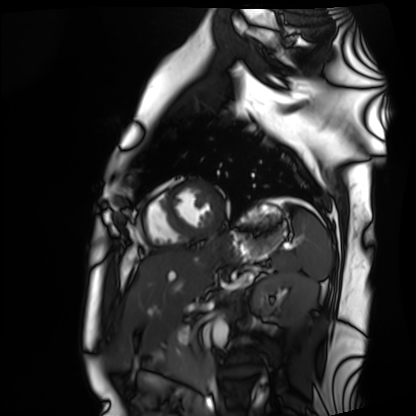
modality = cardiac MRI | subject group = healthy volunteer.